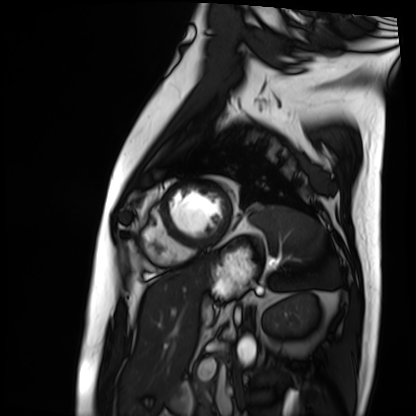
  modality: cardiac MRI
  cohort: patient